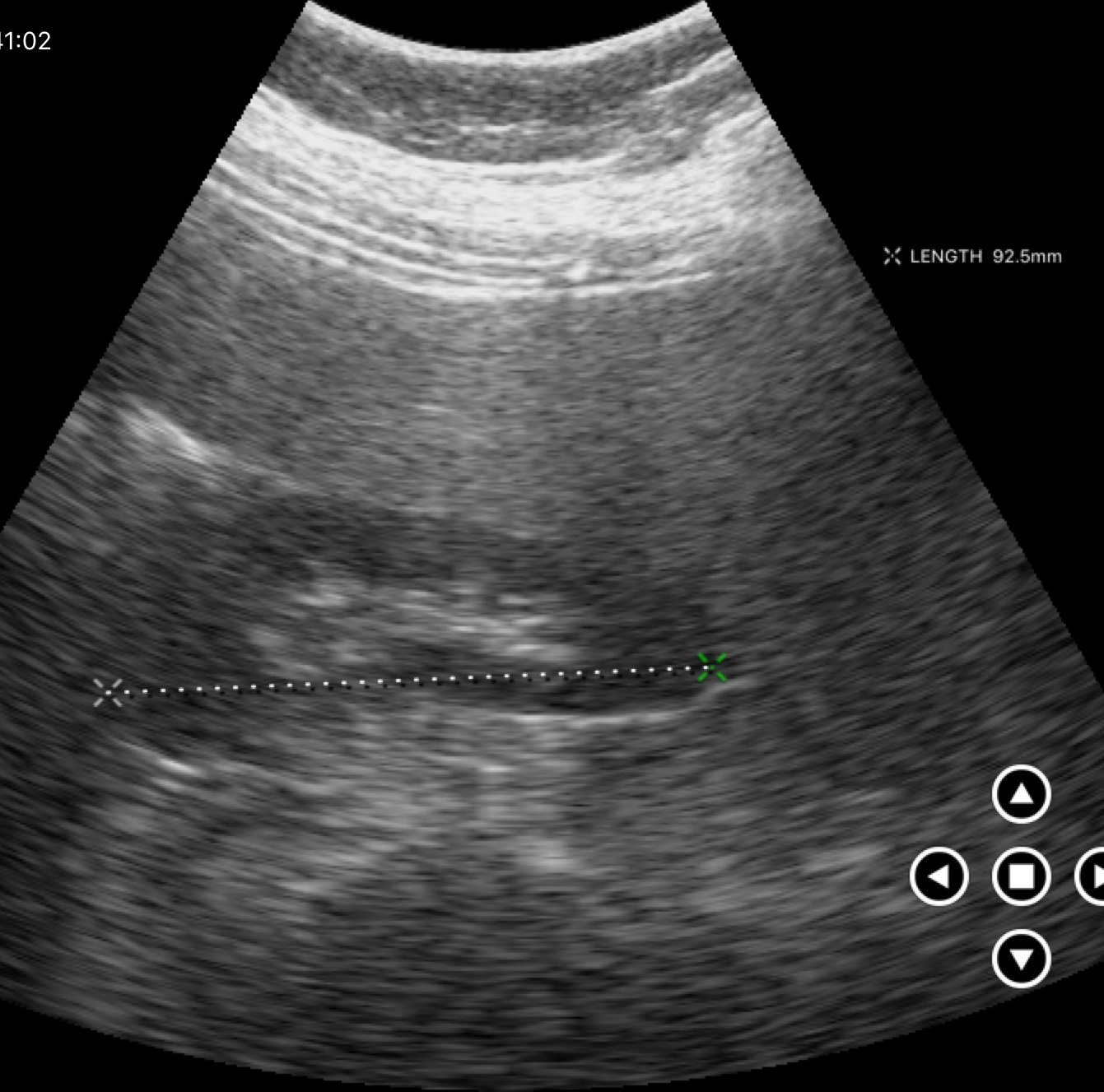
- modality: genitourinary ultrasound